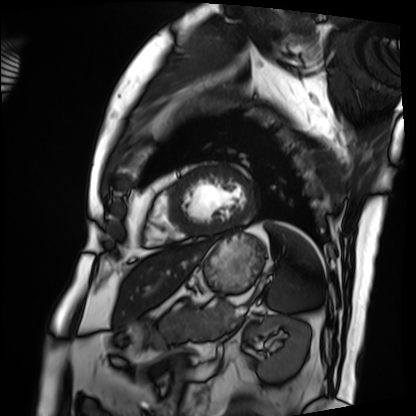
modality = cardiac MRI, subject group = patient.